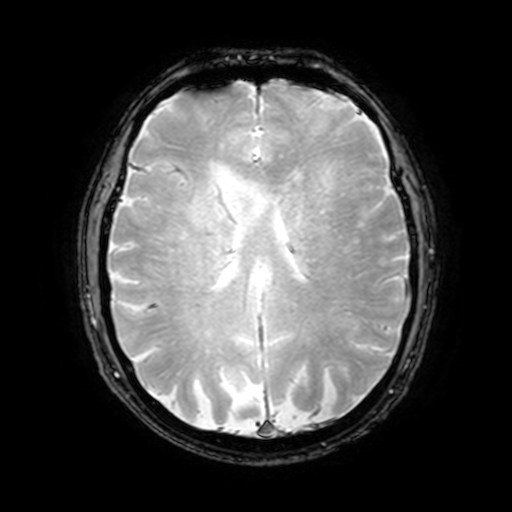
3 Tesla brain MRI. Series: T2-weighted fast field echo with SENSE. Study: ring-enhancing brain masses.